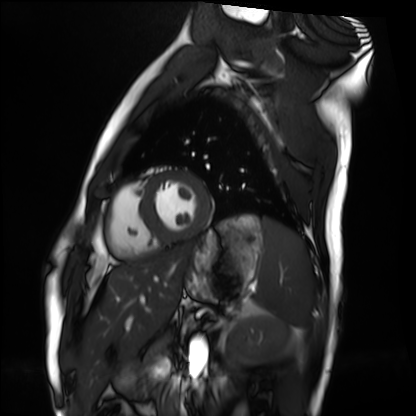
Cardiac MRI.
Subject group: healthy volunteer.